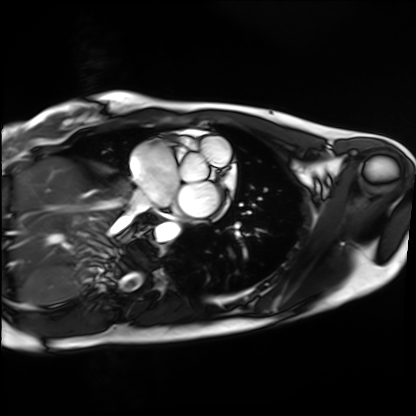
* modality · cardiac MRI
* subject group · healthy volunteer